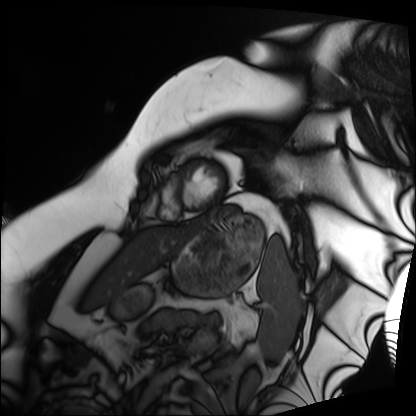
  modality: cardiac MRI
  cohort: patient